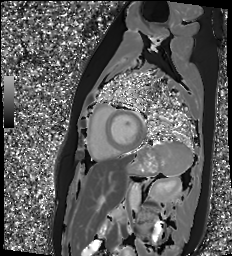
– modality — cardiac MR image of the myocardium
– subject cohort — healthy volunteer